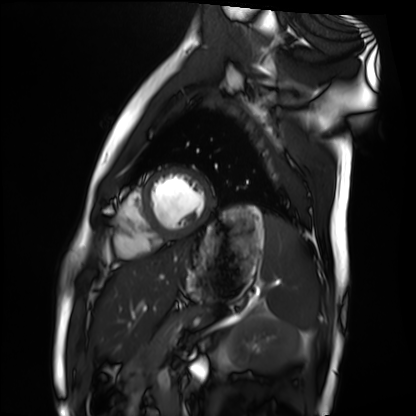
modality: cardiac MRI | subject group: healthy volunteer.